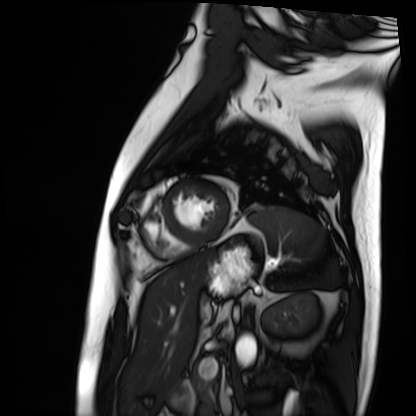
modality — cardiac MRI; subject group — patient.